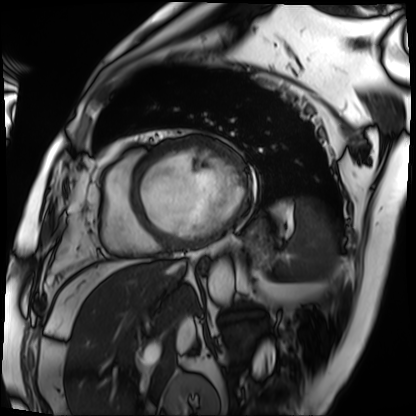
Cardiac MRI. Subject group: patient.